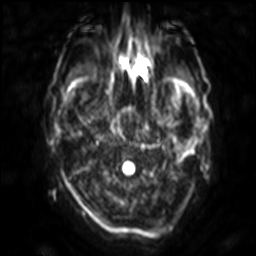
{"modality": {"type": "brain MRI", "field_strength": "3T"}, "series": "diffusion-weighted imaging with SENSE (WIP)", "study_topic": "ring-enhancing brain masses"}